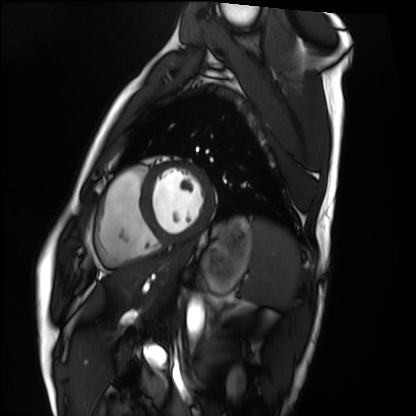
Clinical context:
Cardiac MRI. Subject group: healthy volunteer.